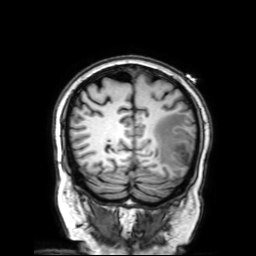
Summary:
3 Tesla brain MRI. Series: 3D T1-weighted with SENSE. Study: ring-enhancing brain masses.